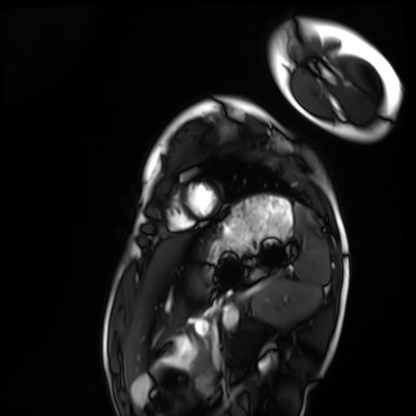
Cardiac MRI. Subject group: healthy volunteer.